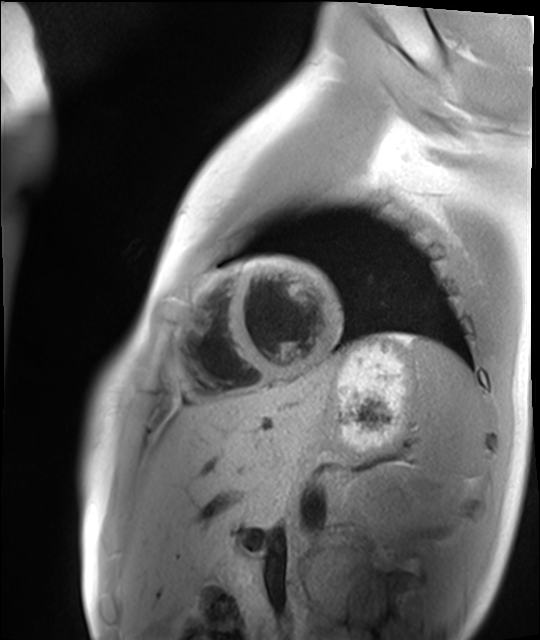
{"modality": "cardiac MR image of the myocardium", "cohort": "healthy volunteer"}